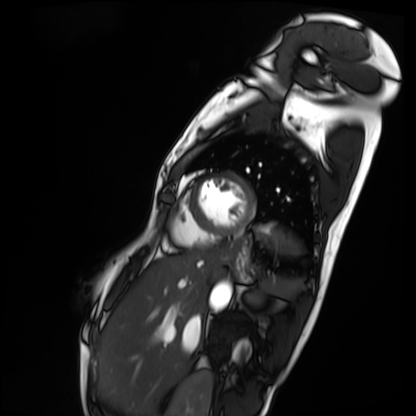
Cardiac MRI. Subject group: patient.